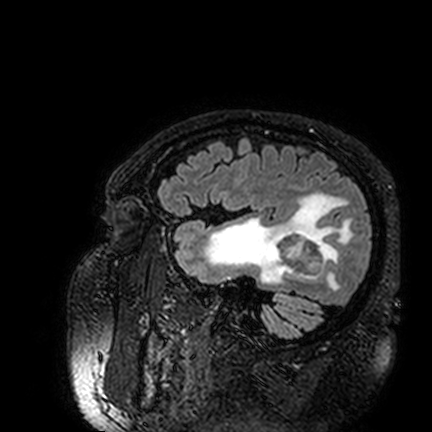
modality = 3 Tesla brain MRI
series = FLAIR VISTA
study = ring-enhancing brain masses